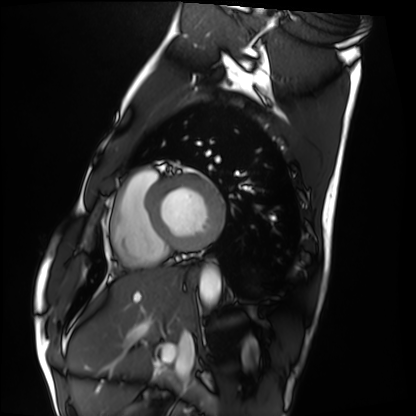
Cardiac MRI. Subject group: healthy volunteer.